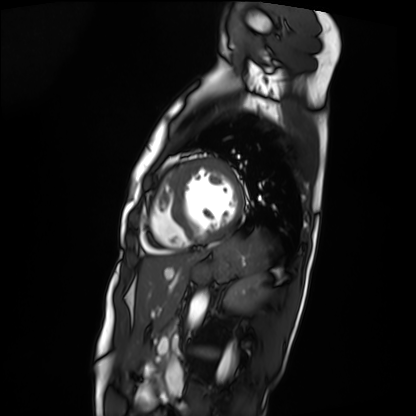
{
  "modality": "cardiac MRI",
  "cohort": "patient"
}